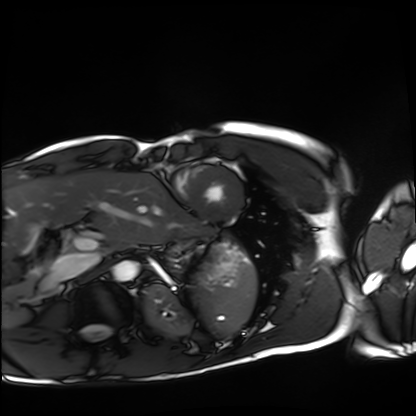
modality — cardiac MRI | subject group — healthy volunteer.